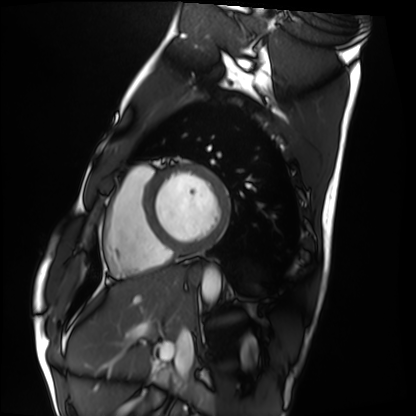
Q: What kind of scan is this?
A: Cardiac MRI.
Subject group: healthy volunteer.